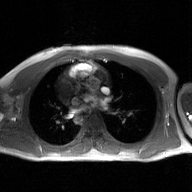
Case:
- modality · 2D phase-contrast cine MRI of the ascending aorta, GAN super-resolution reconstruction